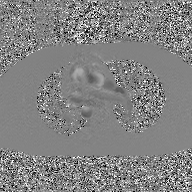
{
  "modality": {
    "type": "2D phase-contrast cine MRI",
    "region": "ascending aorta",
    "reconstruction": "GAN super-resolution reconstruction"
  }
}